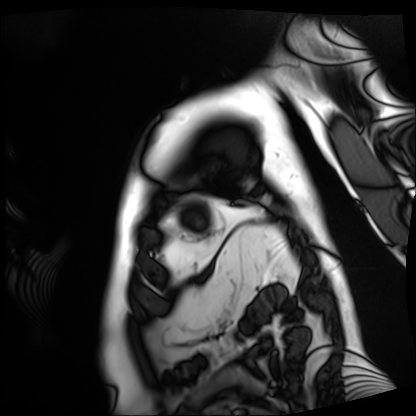
Cardiac MRI. Subject group: patient.